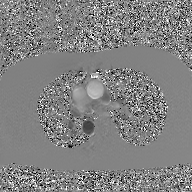
2D phase-contrast cine MRI of the ascending aorta, GAN super-resolution reconstruction.